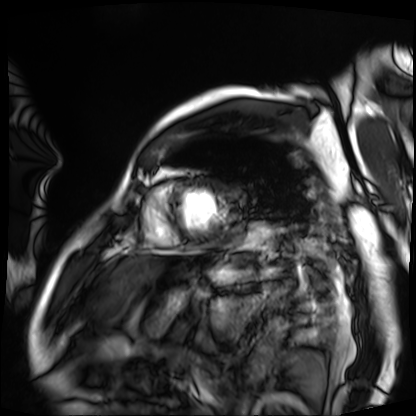
Summary:
Cardiac MRI. Subject group: patient.